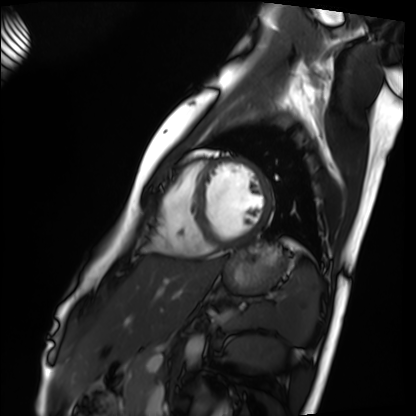
Clinical context: Cardiac MRI. Subject group: healthy volunteer.